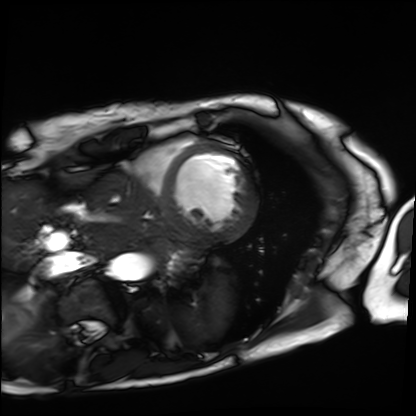
modality = cardiac MRI | subject group = patient.